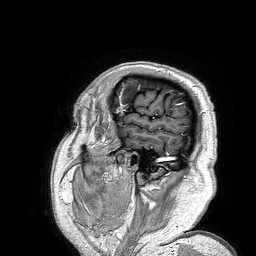
Q: What kind of scan is this?
A: 3 Tesla brain MRI.
Q: Series?
A: 3D T1-weighted turbo field echo.
Study: ring-enhancing brain masses.